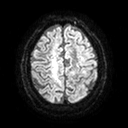
modality: 3 Tesla brain MRI
series: diffusion tensor imaging (medium iso)
study: ring-enhancing brain masses